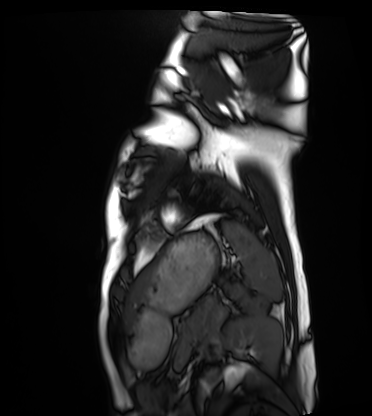
  modality: cardiac MRI
  cohort: healthy volunteer